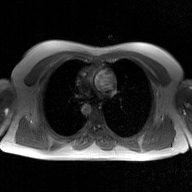
Summary: 2D phase-contrast cine MRI of the ascending aorta, GAN super-resolution reconstruction.